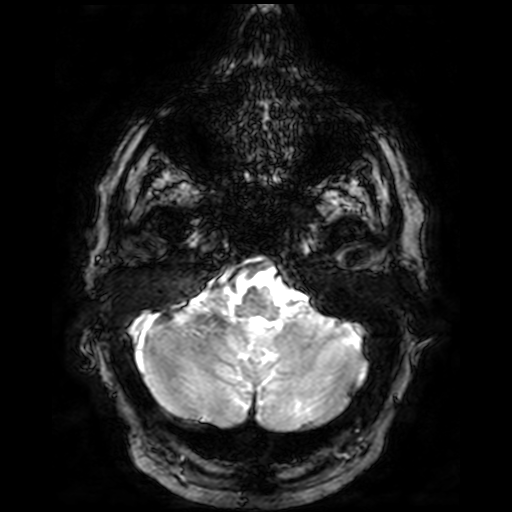
3 Tesla brain MRI. Series: T2-weighted fast field echo. Study: ring-enhancing brain masses.